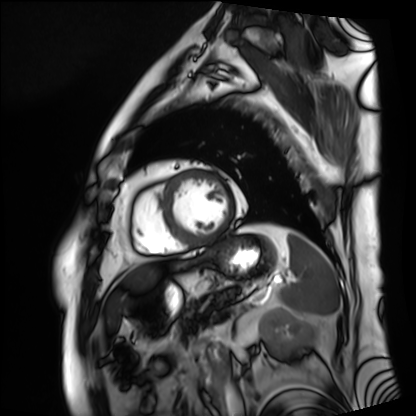
Clinical context:
Cardiac MRI. Subject group: patient.